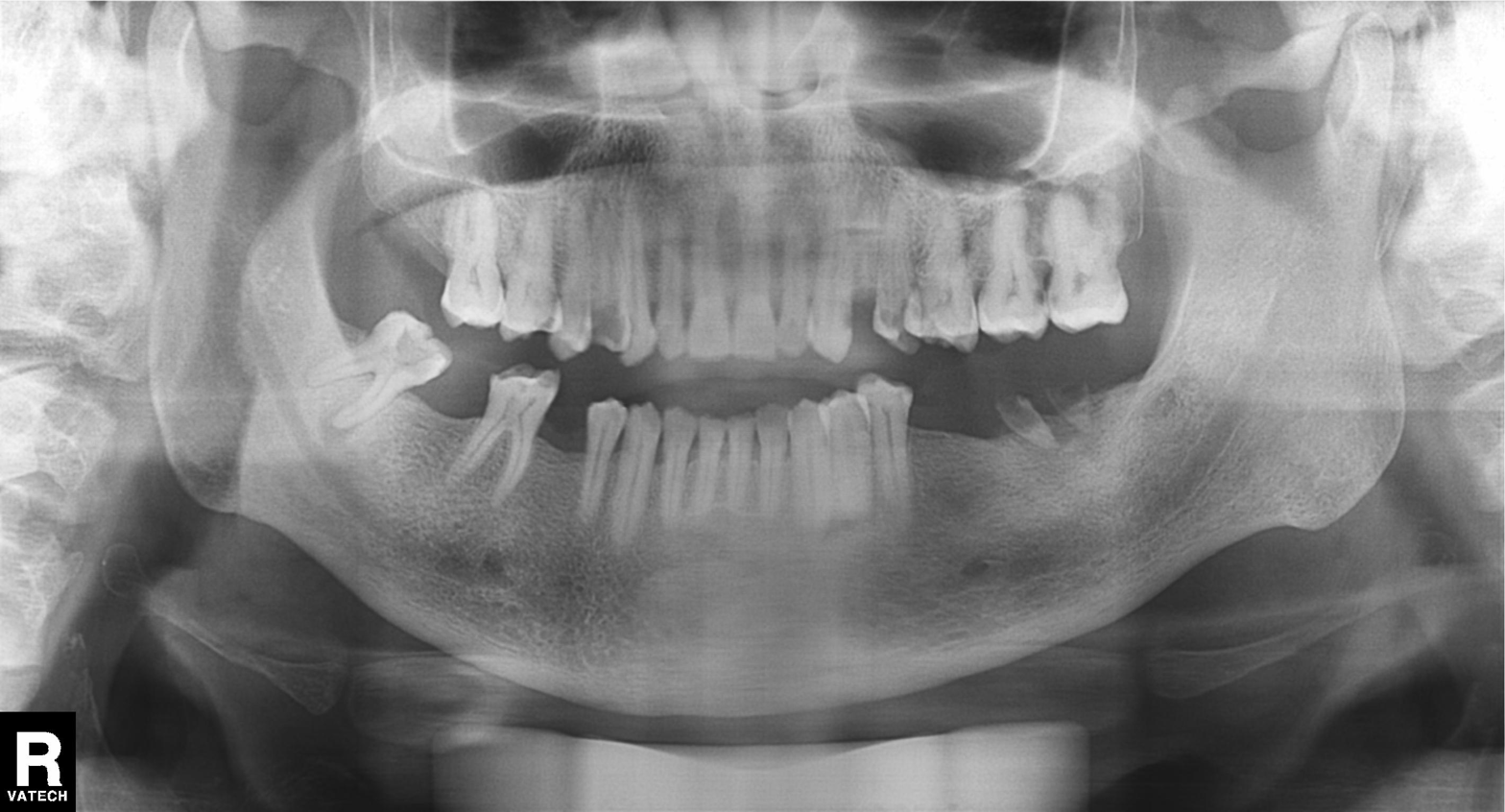
<record>
  <modality>panoramic dental radiograph (orthopantomogram)</modality>
  <finding>alveolar bone loss</finding>
</record>